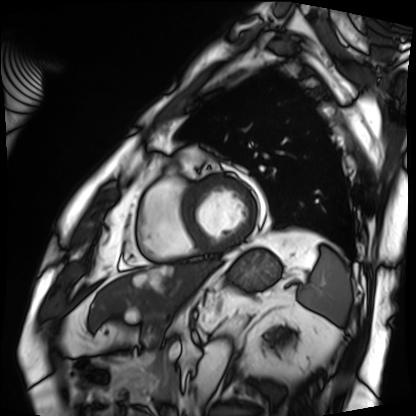
Case summary: Cardiac MRI. Subject group: patient.